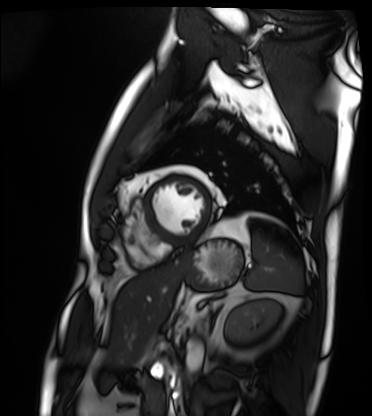
Cardiac MRI.
Subject group: patient.